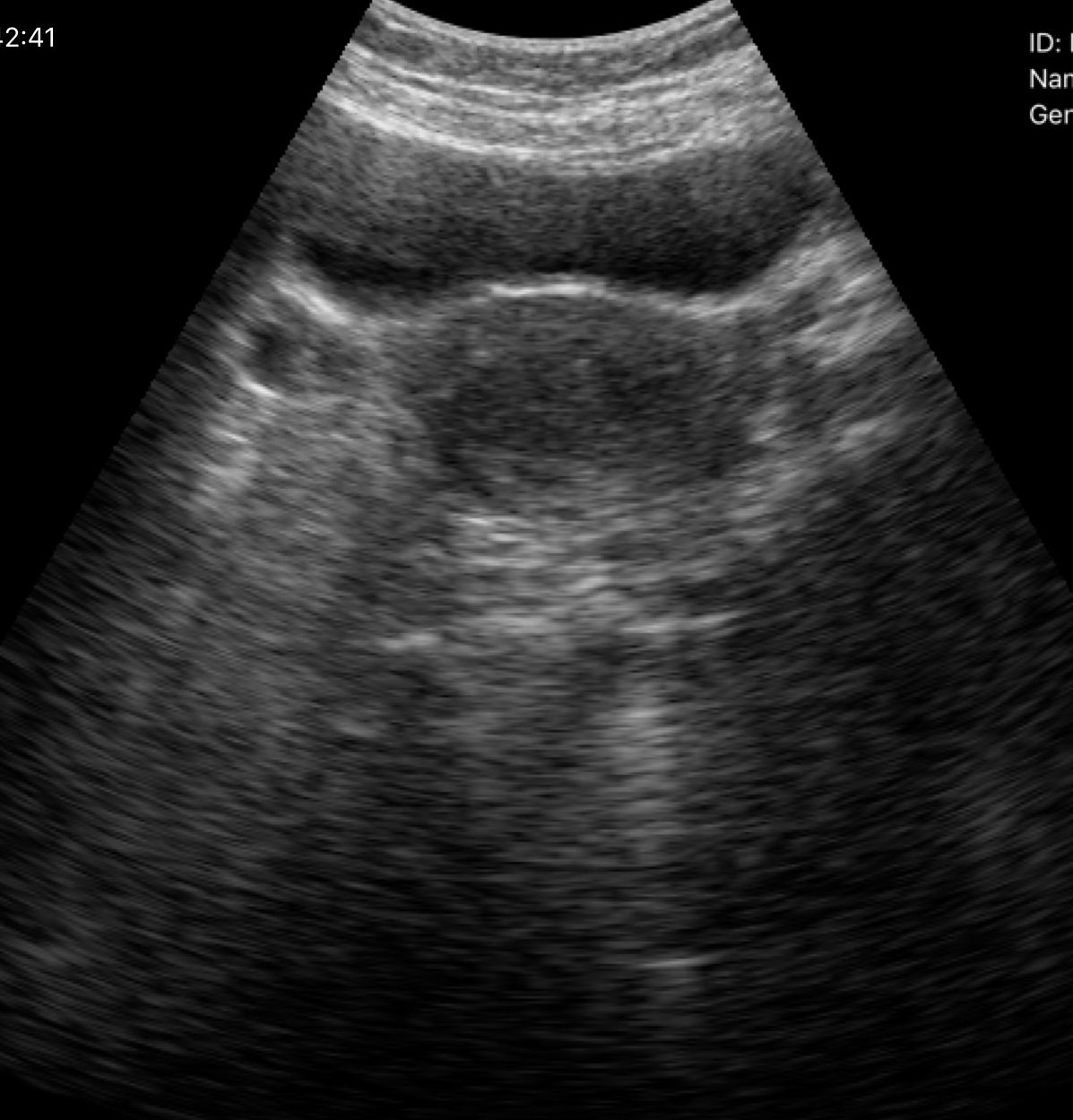
- modality: genitourinary ultrasound